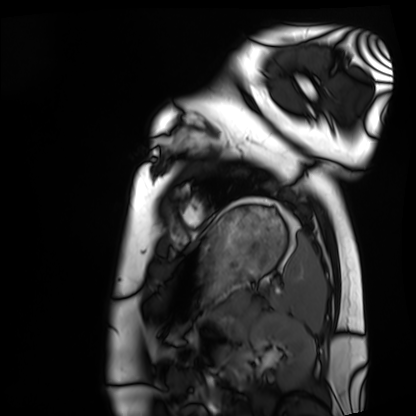
Case:
• modality: cardiac MRI
• subject group: healthy volunteer